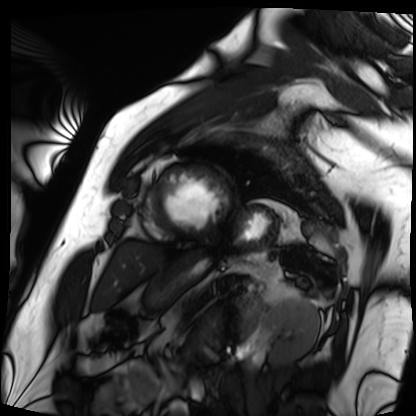
Cardiac MRI. Subject group: patient.